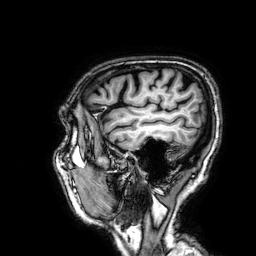
Q: What kind of scan is this?
A: 3 Tesla brain MRI.
Q: Series?
A: 3D T1-weighted.
Study: ring-enhancing brain masses.